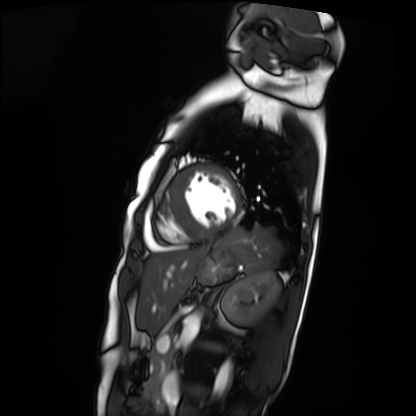
Cardiac MRI.
Subject group: patient.